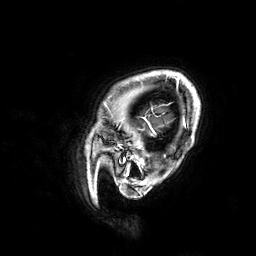
Case summary:
3 Tesla brain MRI. Study: ring-enhancing brain masses.